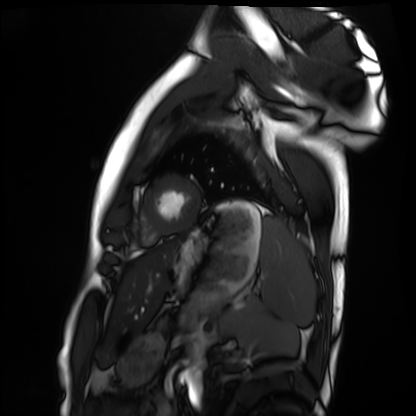
- modality: cardiac MRI
- subject group: healthy volunteer